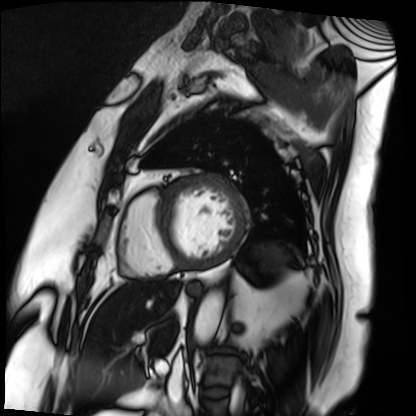
modality: cardiac MRI
cohort: patient